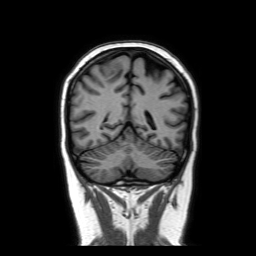
Clinical context:
3 Tesla brain MRI. Series: coronal without contrast. Study: ring-enhancing brain masses.